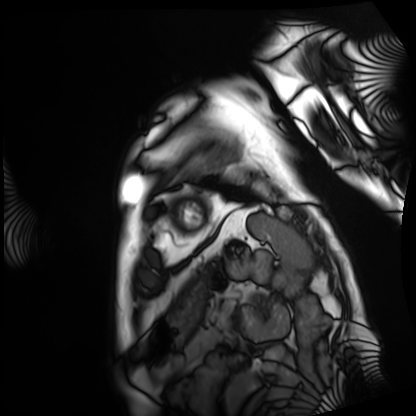
Case summary:
Cardiac MRI. Subject group: patient.